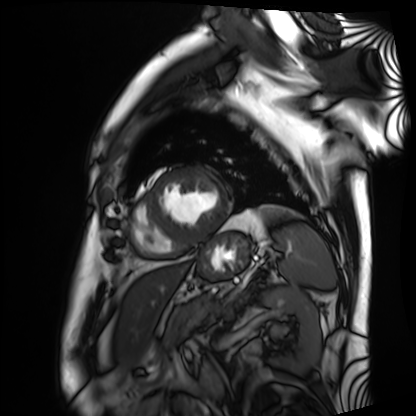
modality: cardiac MRI
subject group: patient